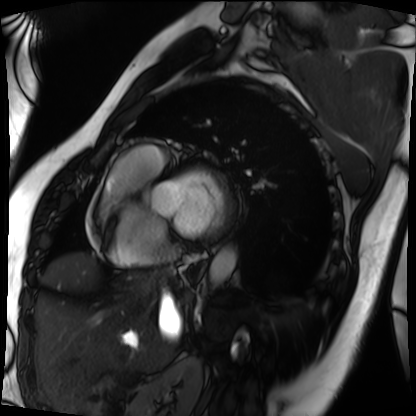
Case summary:
Cardiac MRI. Subject group: patient.